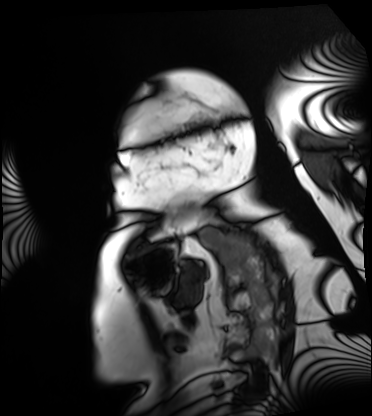
modality — cardiac MRI; subject group — patient.